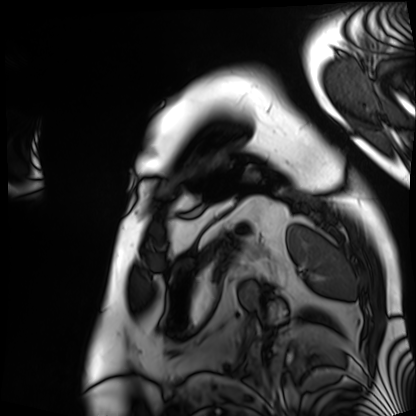
  modality: cardiac MRI
  cohort: patient